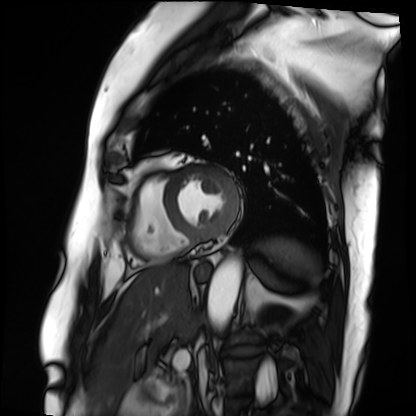
modality: cardiac MRI | subject group: patient.